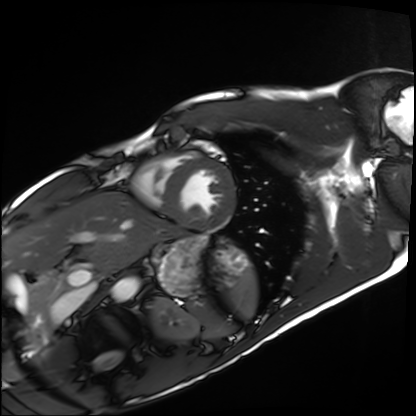
modality — cardiac MRI | subject group — healthy volunteer.